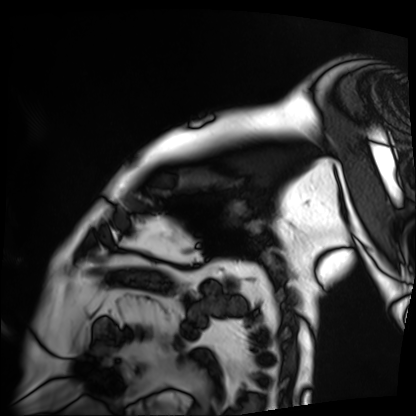
Cardiac MRI.
Subject group: patient.